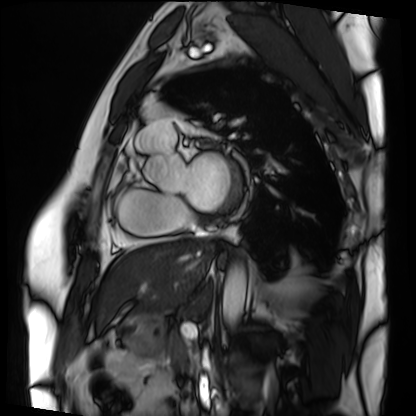
modality — cardiac MRI
subject group — patient